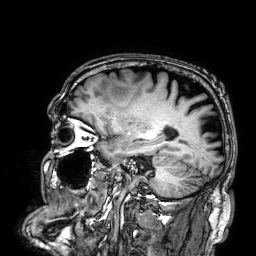
{
  "modality": {
    "type": "brain MRI",
    "field_strength": "3T"
  },
  "series": "3D T1-weighted",
  "study_topic": "ring-enhancing brain masses"
}